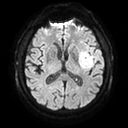
Summary: 3 Tesla brain MRI. Series: diffusion tensor imaging (medium iso). Study: ring-enhancing brain masses.